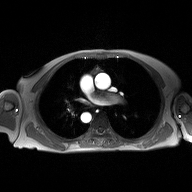
Case:
* modality: 2D phase-contrast cine MRI of the ascending aorta